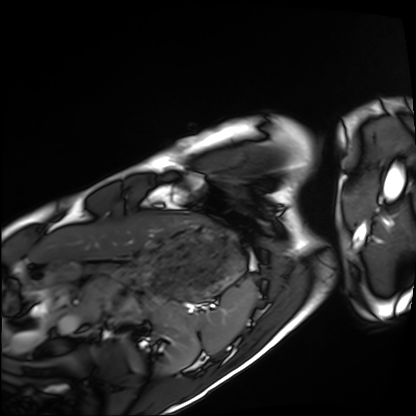
Summary:
Cardiac MRI. Subject group: healthy volunteer.